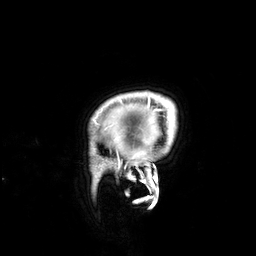
Case summary:
3 Tesla brain MRI. Series: 3D T1-weighted. Study: ring-enhancing brain masses.